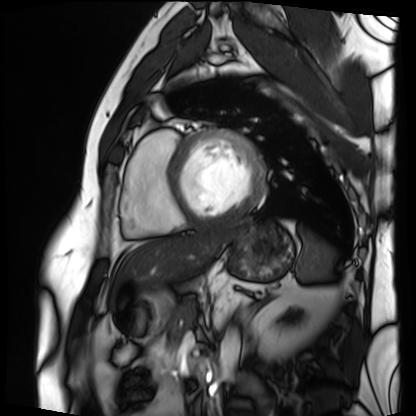
{"modality": "cardiac MRI", "cohort": "patient"}